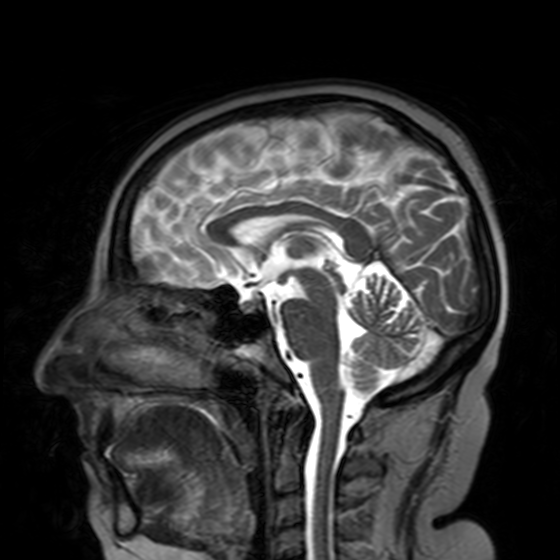
3 Tesla brain MRI. Series: T2-weighted turbo spin echo with SENSE. Study: ring-enhancing brain masses.